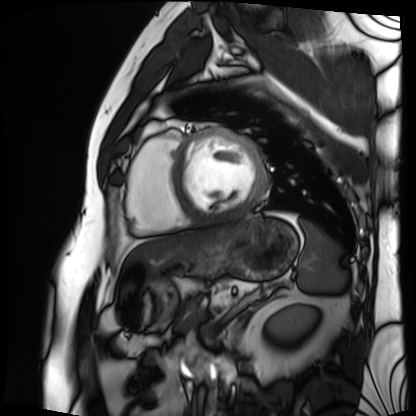
Cardiac MRI. Subject group: patient.